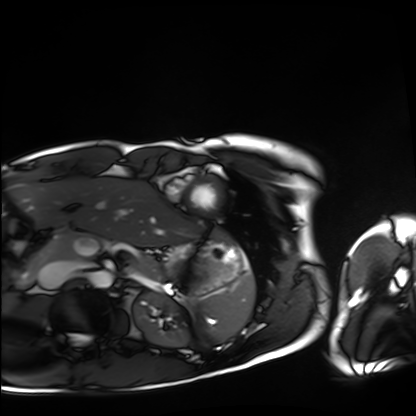
Case:
• modality: cardiac MRI
• subject group: healthy volunteer